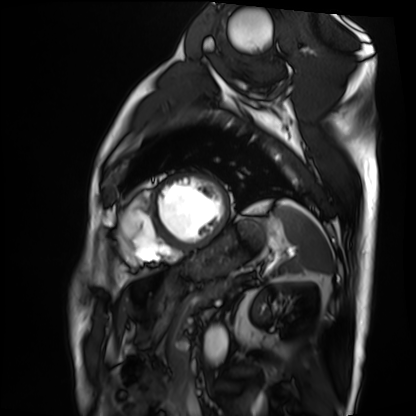
Summary: Cardiac MRI. Subject group: patient.